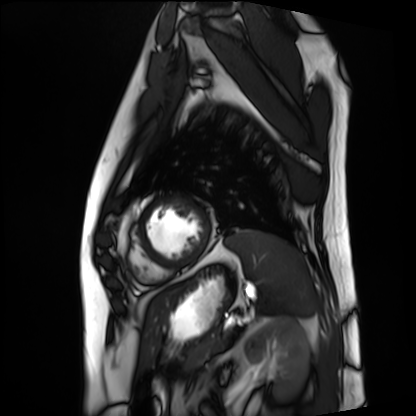
Cardiac MRI. Subject group: patient.